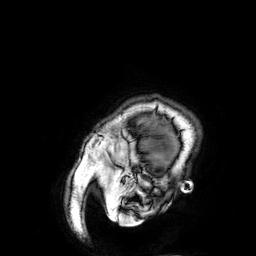
3 Tesla brain MRI. Series: 3D T1-weighted. Study: ring-enhancing brain masses.